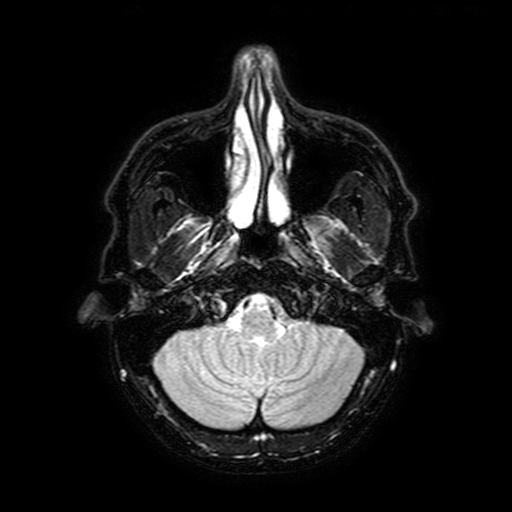
Q: What kind of scan is this?
A: 3 Tesla brain MRI.
Q: Series?
A: FLAIR with SPAIR, 3 mm.
Study: ring-enhancing brain masses.